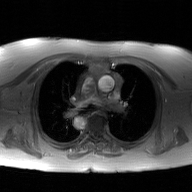
Q: What kind of scan is this?
A: 2D phase-contrast cine MRI of the ascending aorta, GAN super-resolution reconstruction.